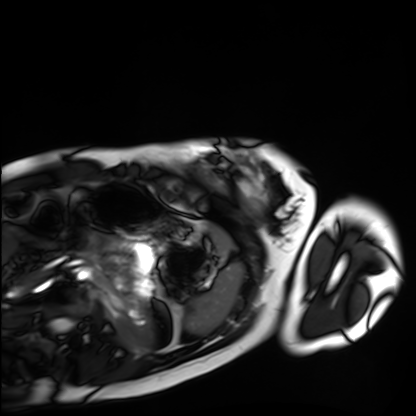
Q: What kind of scan is this?
A: Cardiac MRI.
Subject group: healthy volunteer.